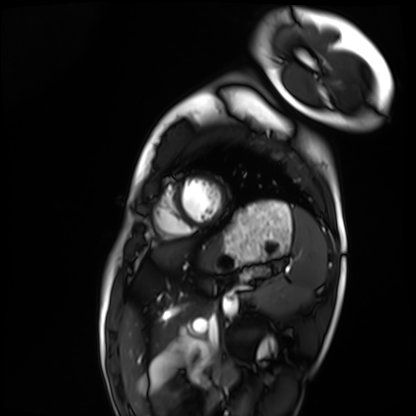
modality: cardiac MRI
cohort: healthy volunteer